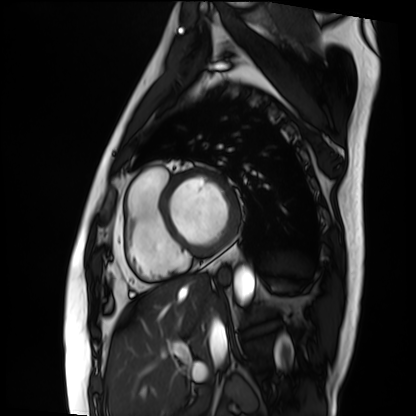
Summary:
Cardiac MRI. Subject group: patient.